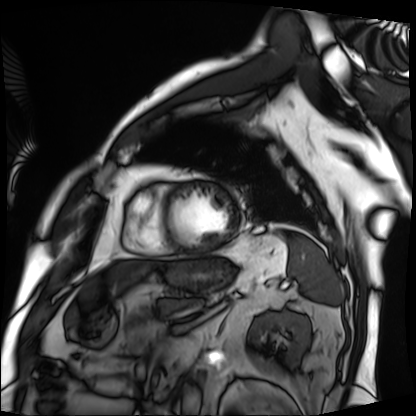
modality — cardiac MRI; subject group — patient.